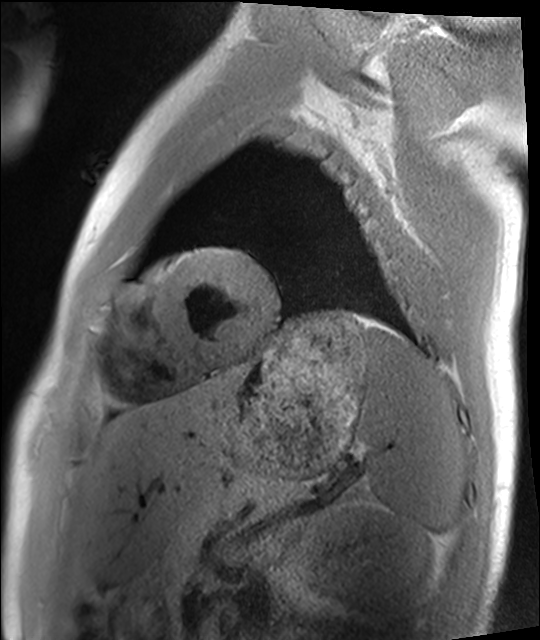
Summary: Cardiac MRI. Subject group: healthy volunteer.